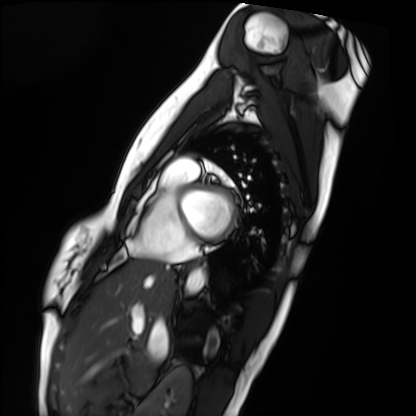
Q: What kind of scan is this?
A: Cardiac MRI.
Subject group: healthy volunteer.